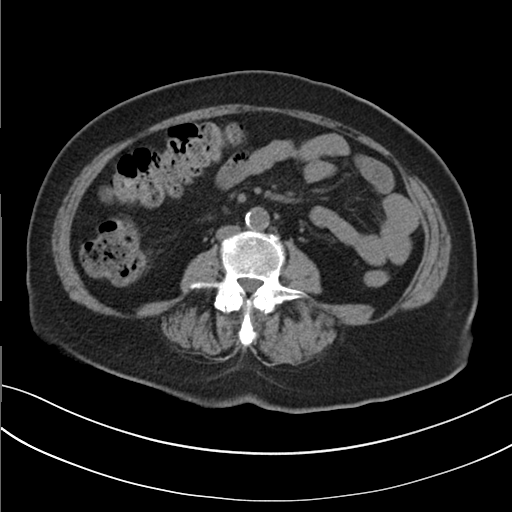
- modality: multiphase abdominal CT, liver, non-contrast phase
- patient: female, age 66